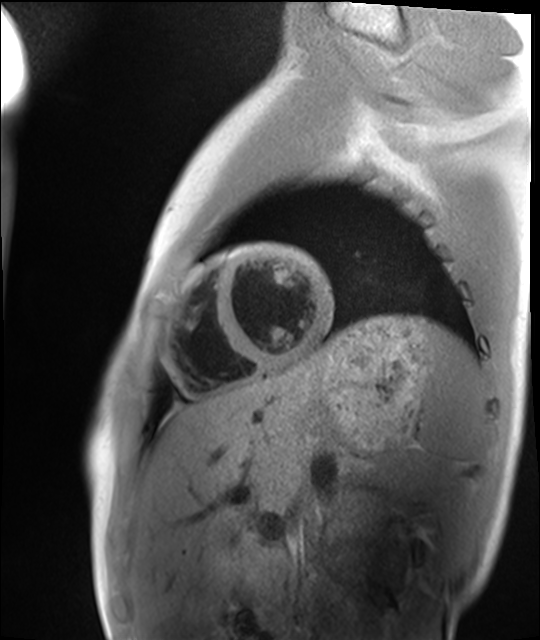
{
  "modality": "cardiac MRI",
  "cohort": "healthy volunteer"
}